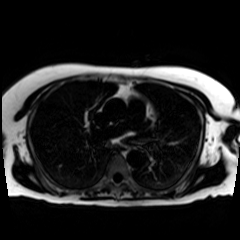
Q: What kind of scan is this?
A: Chemical-shift-encoded cardiac MRI.